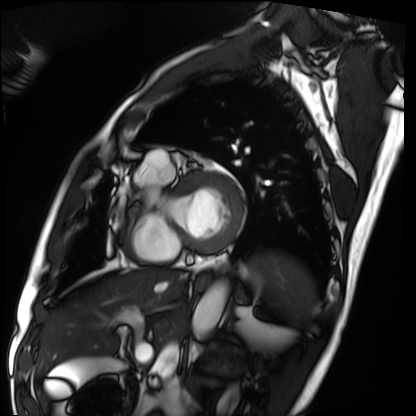
Cardiac MRI.
Subject group: patient.